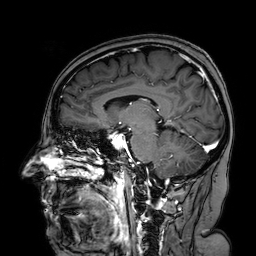
3 Tesla brain MRI.
Series: 3D T1-weighted turbo field echo with SENSE.
Study: ring-enhancing brain masses.